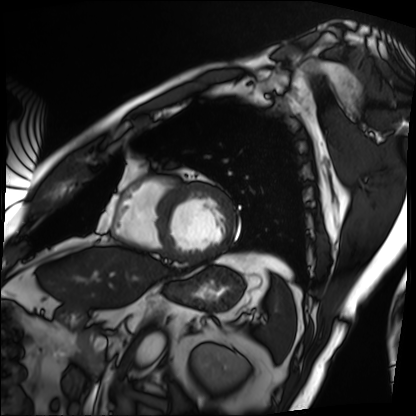
Cardiac MRI. Subject group: patient.